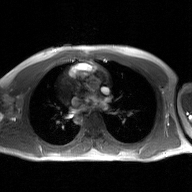
2D phase-contrast cine MRI of the ascending aorta, GAN super-resolution reconstruction.